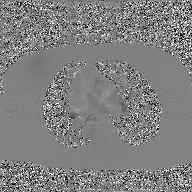
2D phase-contrast cine MRI of the ascending aorta, GAN super-resolution reconstruction.